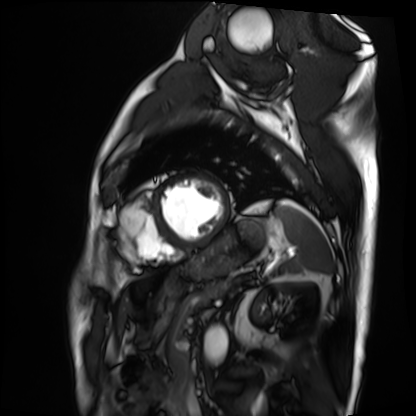
Summary:
Cardiac MRI. Subject group: patient.